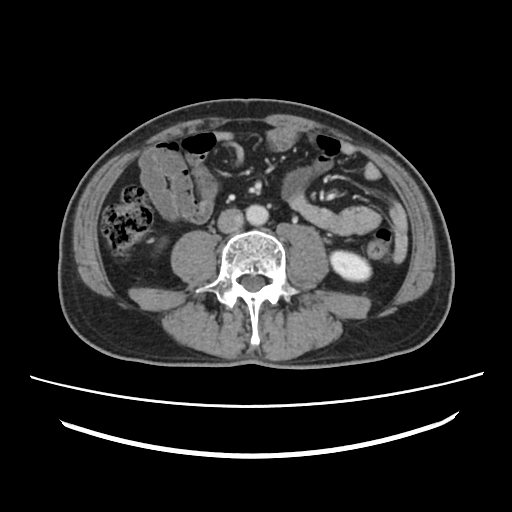
modality=multiphase abdominal CT, liver, portal venous phase
patient=male, age 52